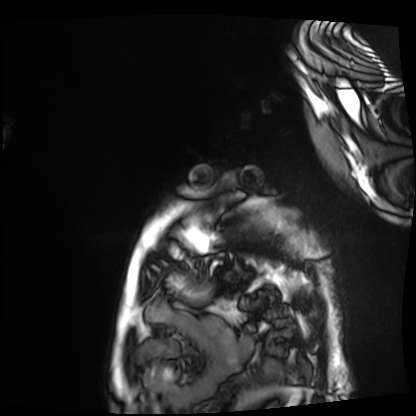
modality: cardiac MRI; subject group: patient.